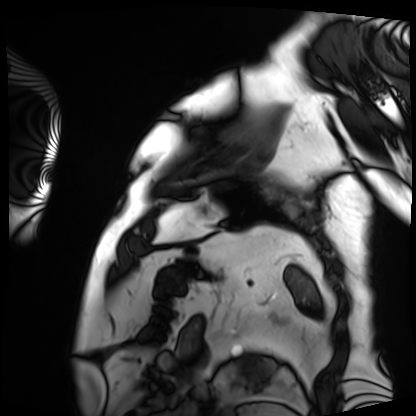
Cardiac MRI. Subject group: patient.